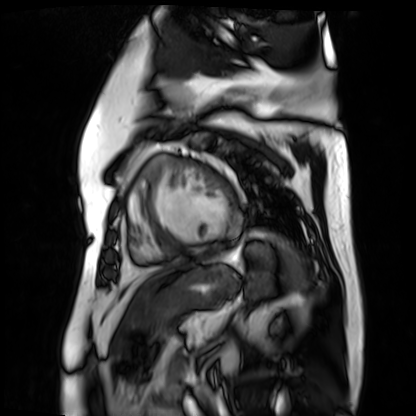
Cardiac MR image of the myocardium. Subject cohort: cardiac patient.